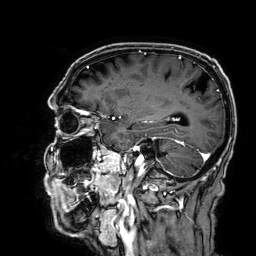
modality: 3 Tesla brain MRI; series: 3D T1-weighted; study: ring-enhancing brain masses.